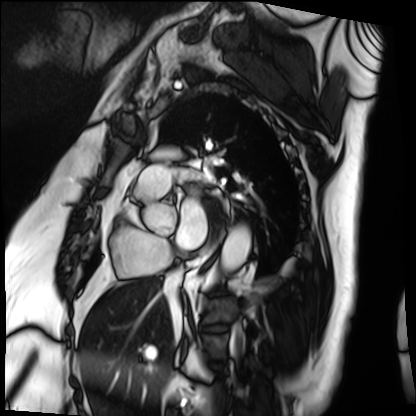
– modality: cardiac MRI
– subject group: patient